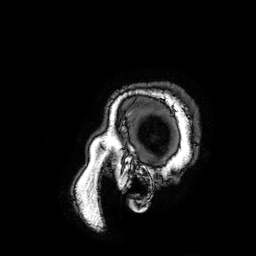
Clinical context:
3 Tesla brain MRI. Series: 3D T1-weighted turbo field echo with SENSE. Study: ring-enhancing brain masses.